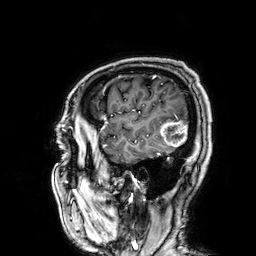
Summary: 3 Tesla brain MRI. Series: 3D T1-weighted. Study: ring-enhancing brain masses.